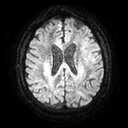
3 Tesla brain MRI.
Series: diffusion tensor imaging (medium iso).
Study: ring-enhancing brain masses.